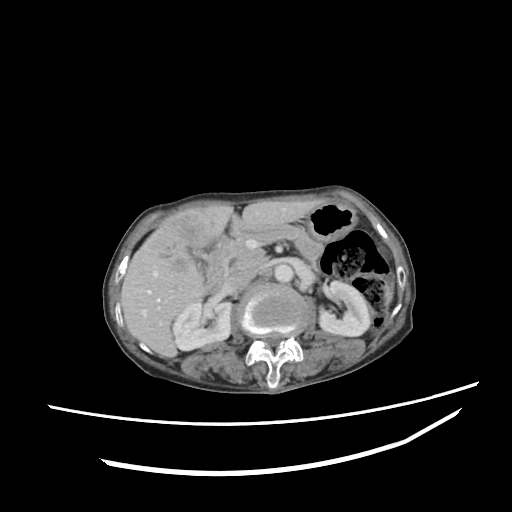
Multiphase abdominal CT, liver, portal venous phase.
Patient: female, age 74.